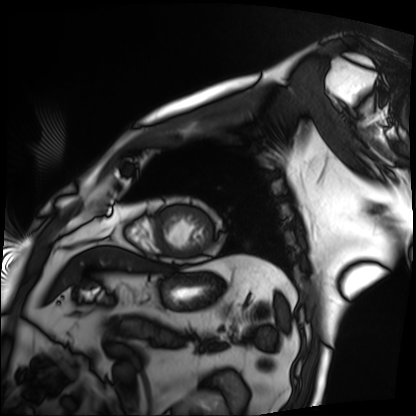
Case:
* modality · cardiac MRI
* subject group · patient